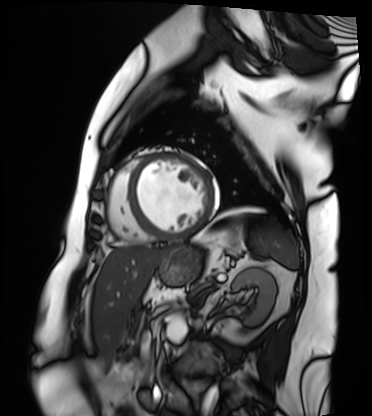
Cardiac MRI. Subject group: patient.